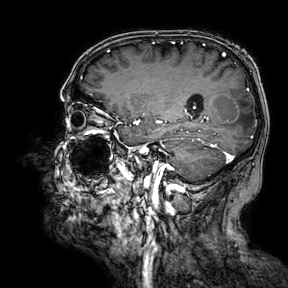
Q: What kind of scan is this?
A: 3 Tesla brain MRI.
Q: Series?
A: 3D T1-weighted turbo field echo with SENSE.
Study: ring-enhancing brain masses.